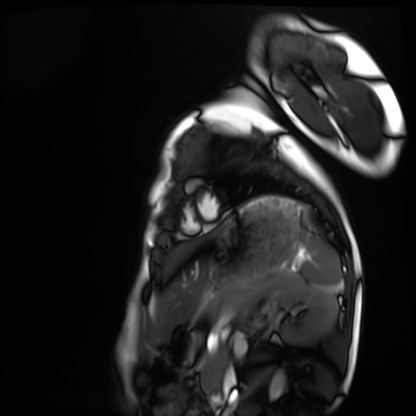
Cardiac MRI.
Subject group: healthy volunteer.